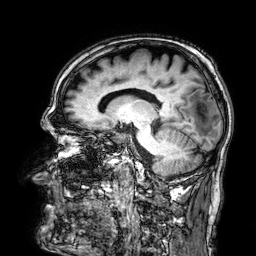
Case summary: 3 Tesla brain MRI. Series: 3D T1-weighted. Study: ring-enhancing brain masses.